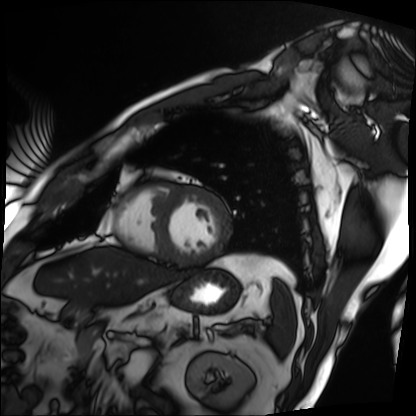
<record>
  <modality>cardiac MRI</modality>
  <cohort>patient</cohort>
</record>